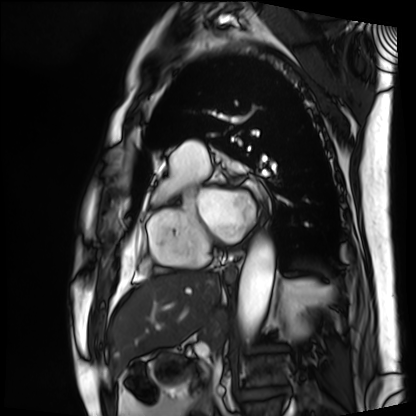
Q: What kind of scan is this?
A: Cardiac MRI.
Subject group: patient.